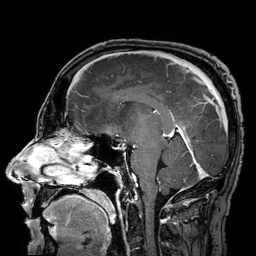
{
  "modality": {
    "type": "brain MRI",
    "field_strength": "3T"
  },
  "series": "3D T1-weighted turbo field echo with SENSE",
  "study_topic": "ring-enhancing brain masses"
}